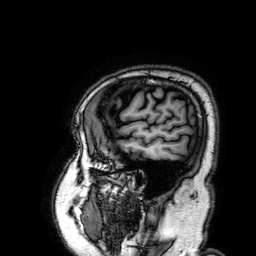
  modality:
    type: brain MRI
    field_strength: 3T
  series: 3D T1-weighted
  study_topic: ring-enhancing brain masses